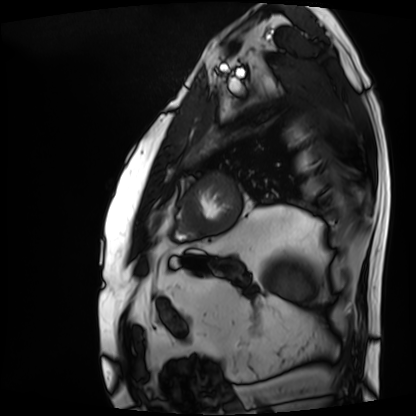
{"modality": "cardiac MRI", "cohort": "patient"}